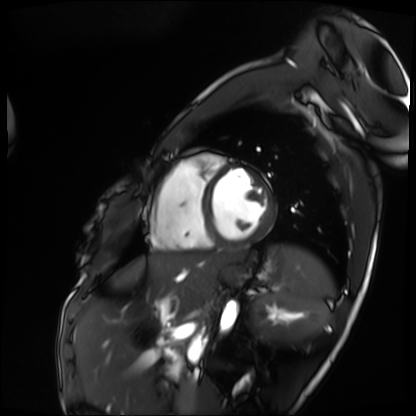
Summary: Cardiac MRI. Subject group: patient.